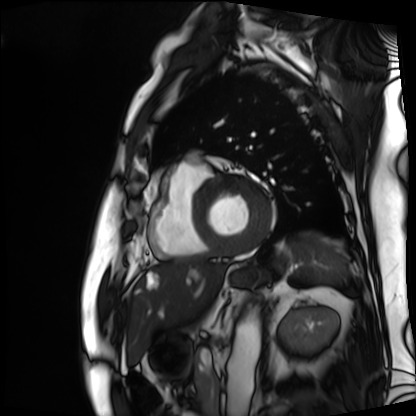
• modality: cardiac MRI
• subject group: patient